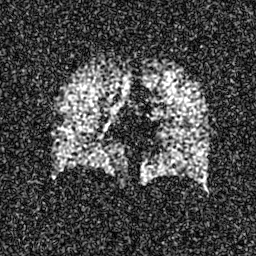
Hyperpolarized 129Xe ventilation MRI of the lungs.
SNR level 5 of 8 (the deposit holds this scan as its native image and as seven SNR-degraded versions).